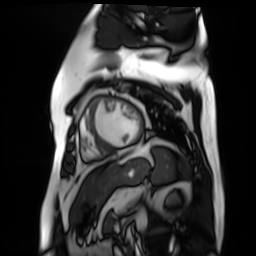
Clinical context:
Cardiac MR image of the myocardium. Subject cohort: cardiac patient.